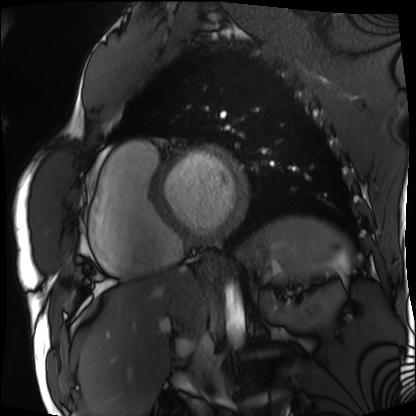
{"modality": "cardiac MRI", "cohort": "patient"}